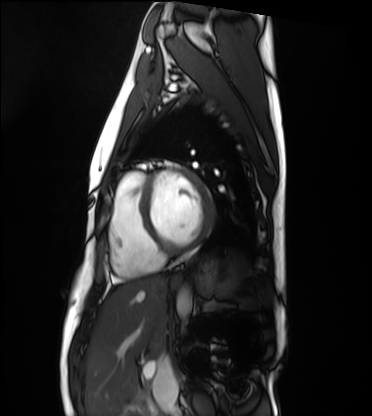
modality: cardiac MRI, subject group: healthy volunteer.